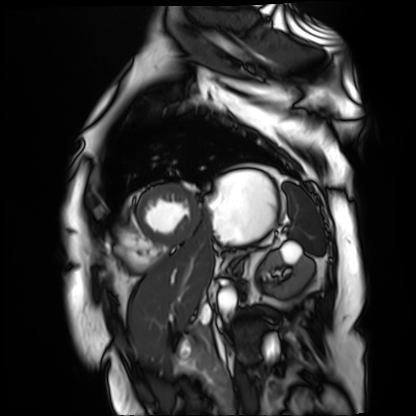
Cardiac MR image of the myocardium.
Subject cohort: cardiac patient.